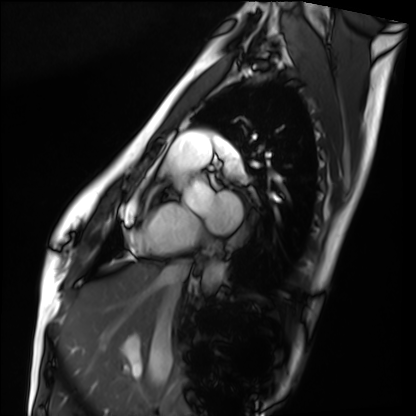
Cardiac MRI.
Subject group: healthy volunteer.